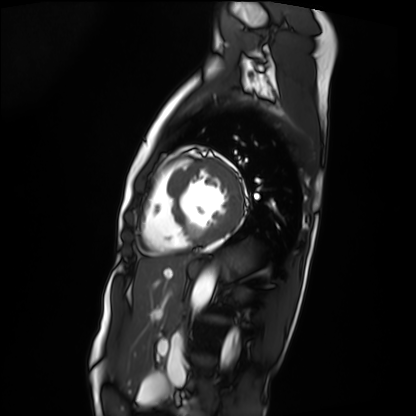
Cardiac MRI.
Subject group: patient.